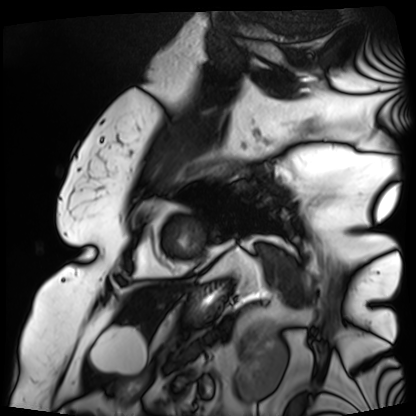
Cardiac MRI.
Subject group: patient.